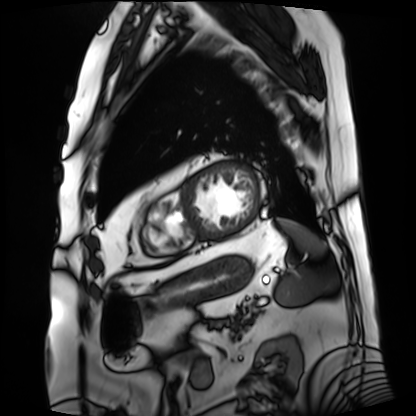
Cardiac MRI.
Subject group: patient.